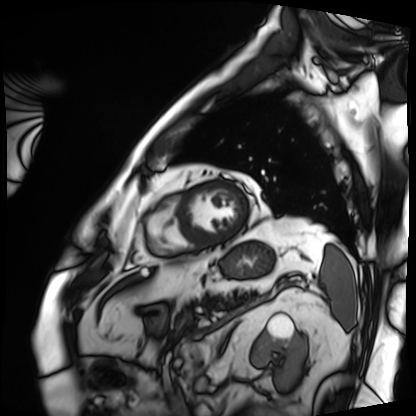
Q: What kind of scan is this?
A: Cardiac MRI.
Subject group: patient.